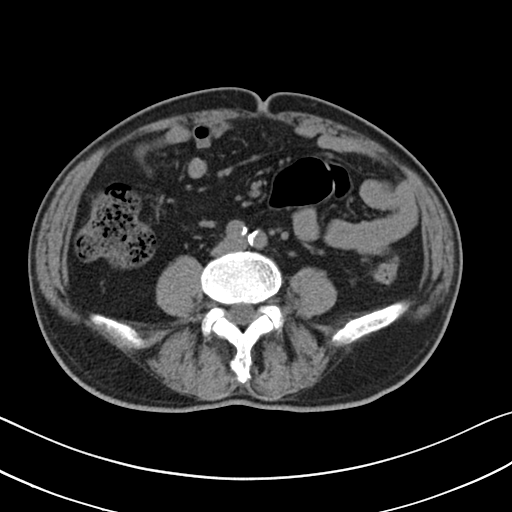
Multiphase abdominal CT, liver, non-contrast phase.
Patient: male, age 71.